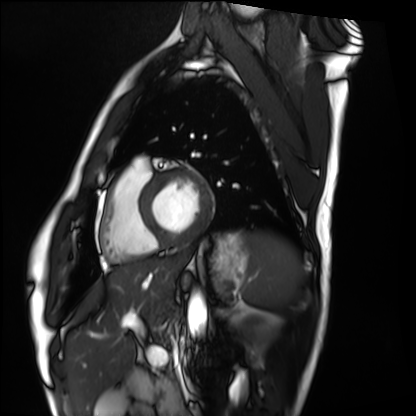
Q: What kind of scan is this?
A: Cardiac MRI.
Subject group: healthy volunteer.